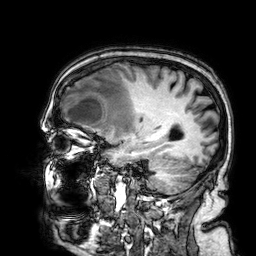
3 Tesla brain MRI.
Series: 3D T1-weighted.
Study: ring-enhancing brain masses.